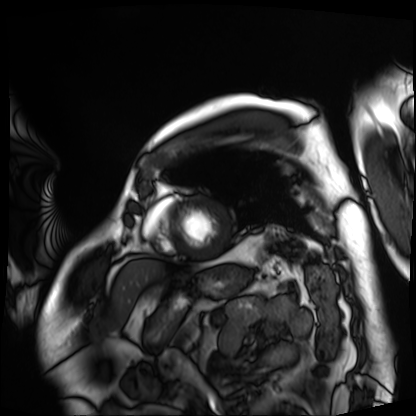
Cardiac MRI. Subject group: patient.